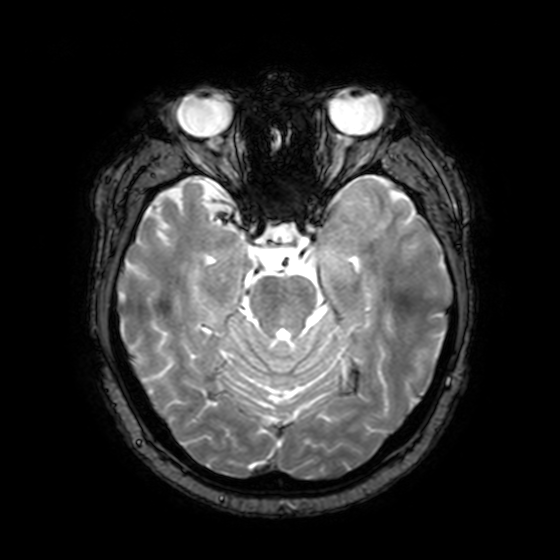
{"modality": {"type": "brain MRI", "field_strength": "3T"}, "series": "T2-weighted fast field echo with SENSE", "study_topic": "ring-enhancing brain masses"}